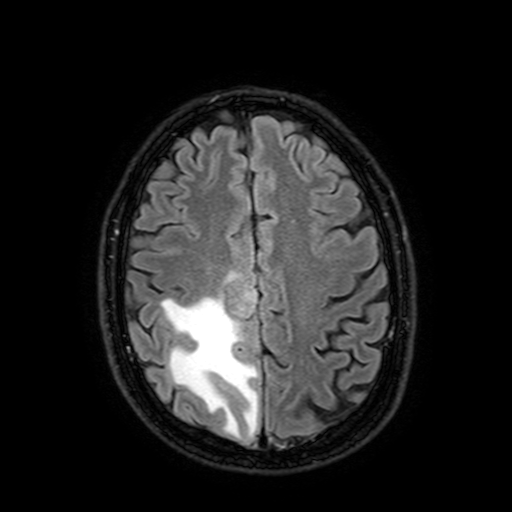
3 Tesla brain MRI. Series: FLAIR with SPAIR, 3 mm. Study: ring-enhancing brain masses.